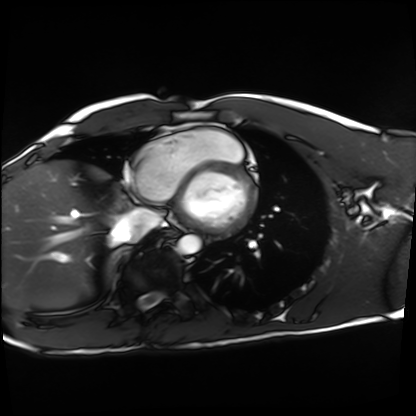
Case summary: Cardiac MRI. Subject group: healthy volunteer.